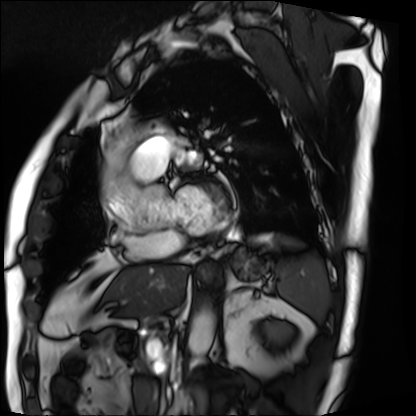
Case:
- modality · cardiac MRI
- subject group · patient